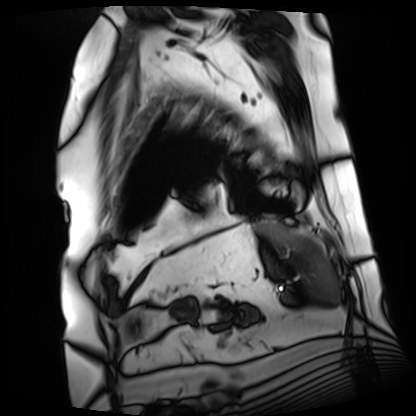
Cardiac MRI. Subject group: patient.